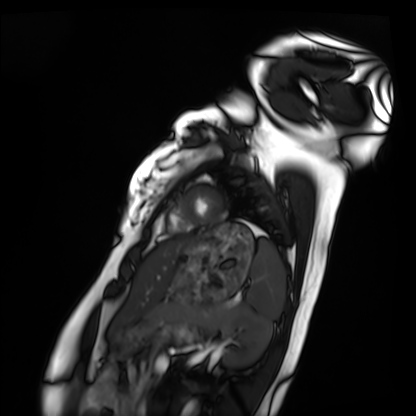
Cardiac MRI. Subject group: healthy volunteer.